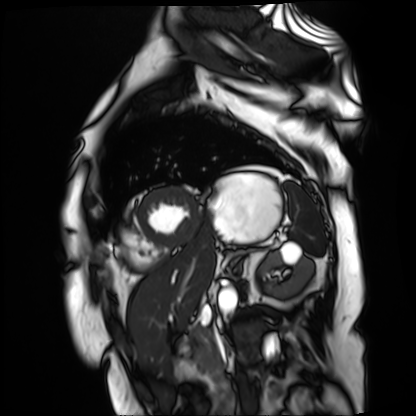
| field | value |
|---|---|
| modality | cardiac MR image of the myocardium |
| subject cohort | cardiac patient |